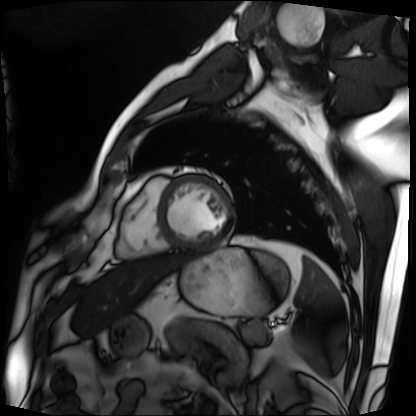
Cardiac MRI.
Subject group: patient.